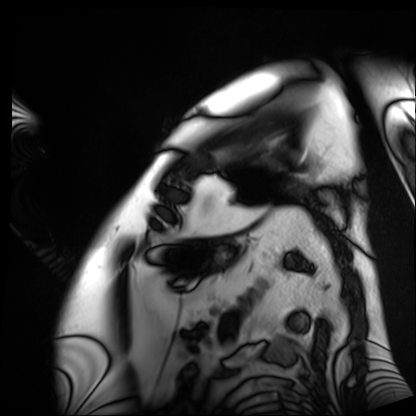
- modality: cardiac MRI
- subject group: patient